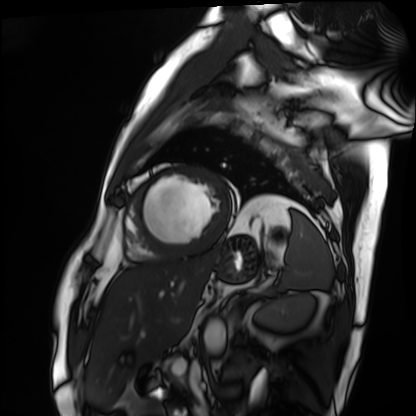
– modality — cardiac MRI
– subject group — patient